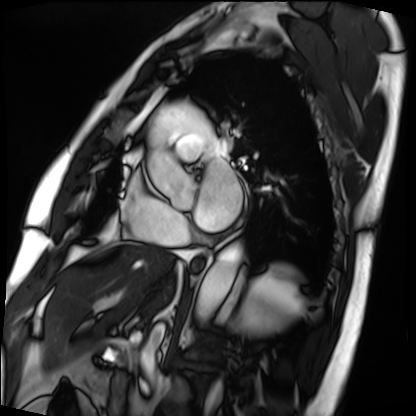
Cardiac MRI.
Subject group: patient.